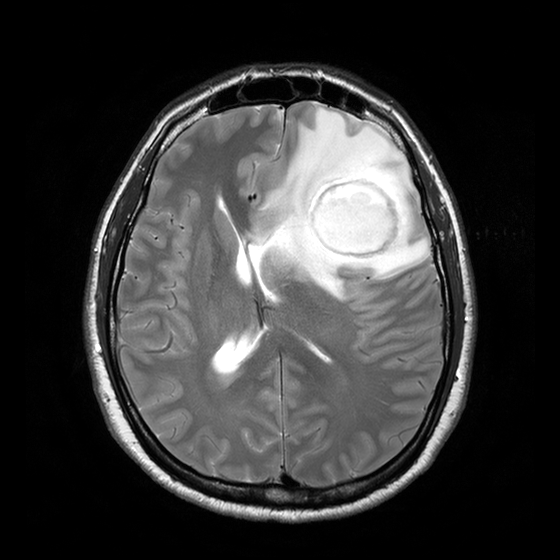
- modality — 3 Tesla brain MRI
- series — T2-weighted turbo spin echo with CLEAR
- study — ring-enhancing brain masses